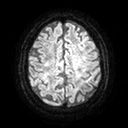
3 Tesla brain MRI.
Series: diffusion tensor imaging (medium iso).
Study: ring-enhancing brain masses.